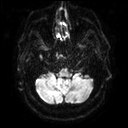
modality: 3 Tesla brain MRI
series: diffusion tensor imaging (medium iso)
study: ring-enhancing brain masses